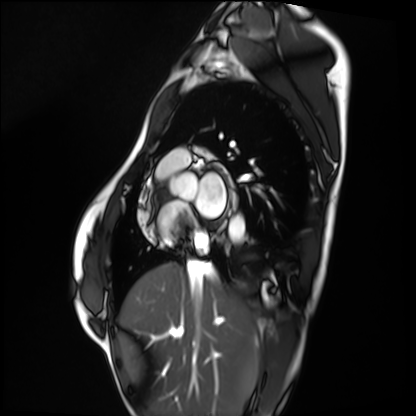
<case>
<modality>cardiac MRI</modality>
<cohort>healthy volunteer</cohort>
</case>